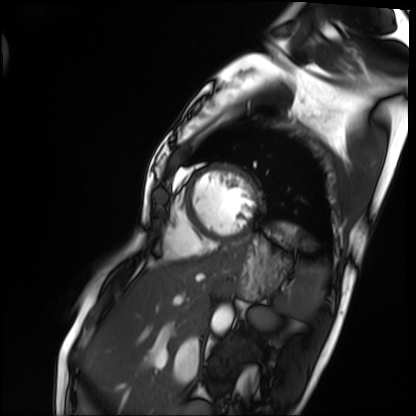
Cardiac MRI.
Subject group: patient.